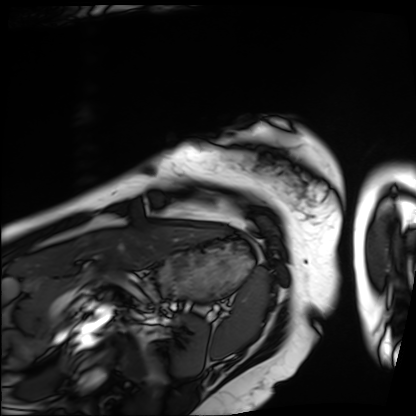
modality: cardiac MRI, subject group: patient.